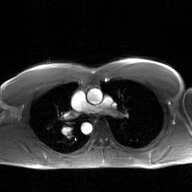
2D phase-contrast cine MRI of the ascending aorta, GAN super-resolution reconstruction.